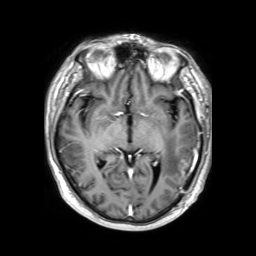
3 Tesla brain MRI. Series: 3D T1-weighted TFE with SENSE. Study: ring-enhancing brain masses.